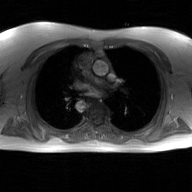
Case:
* modality: 2D phase-contrast cine MRI of the ascending aorta, GAN super-resolution reconstruction